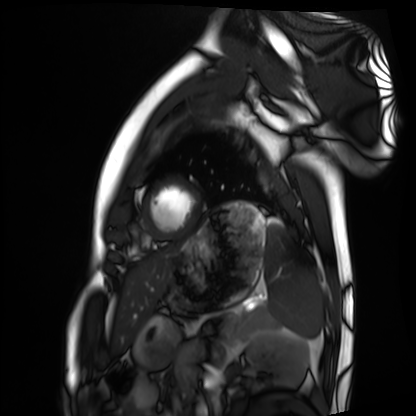
modality=cardiac MRI | subject group=healthy volunteer.